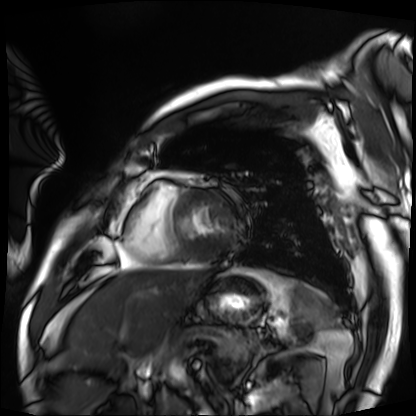
  modality: cardiac MRI
  cohort: patient